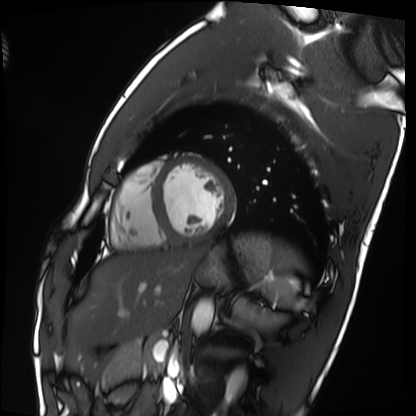
Cardiac MRI.
Subject group: healthy volunteer.